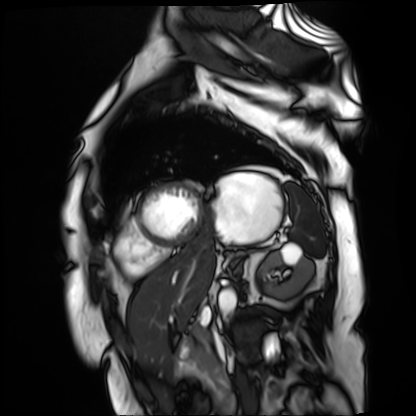
Cardiac MR image of the myocardium. Subject cohort: cardiac patient.